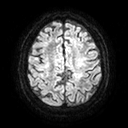
3 Tesla brain MRI.
Series: diffusion tensor imaging (medium iso).
Study: ring-enhancing brain masses.